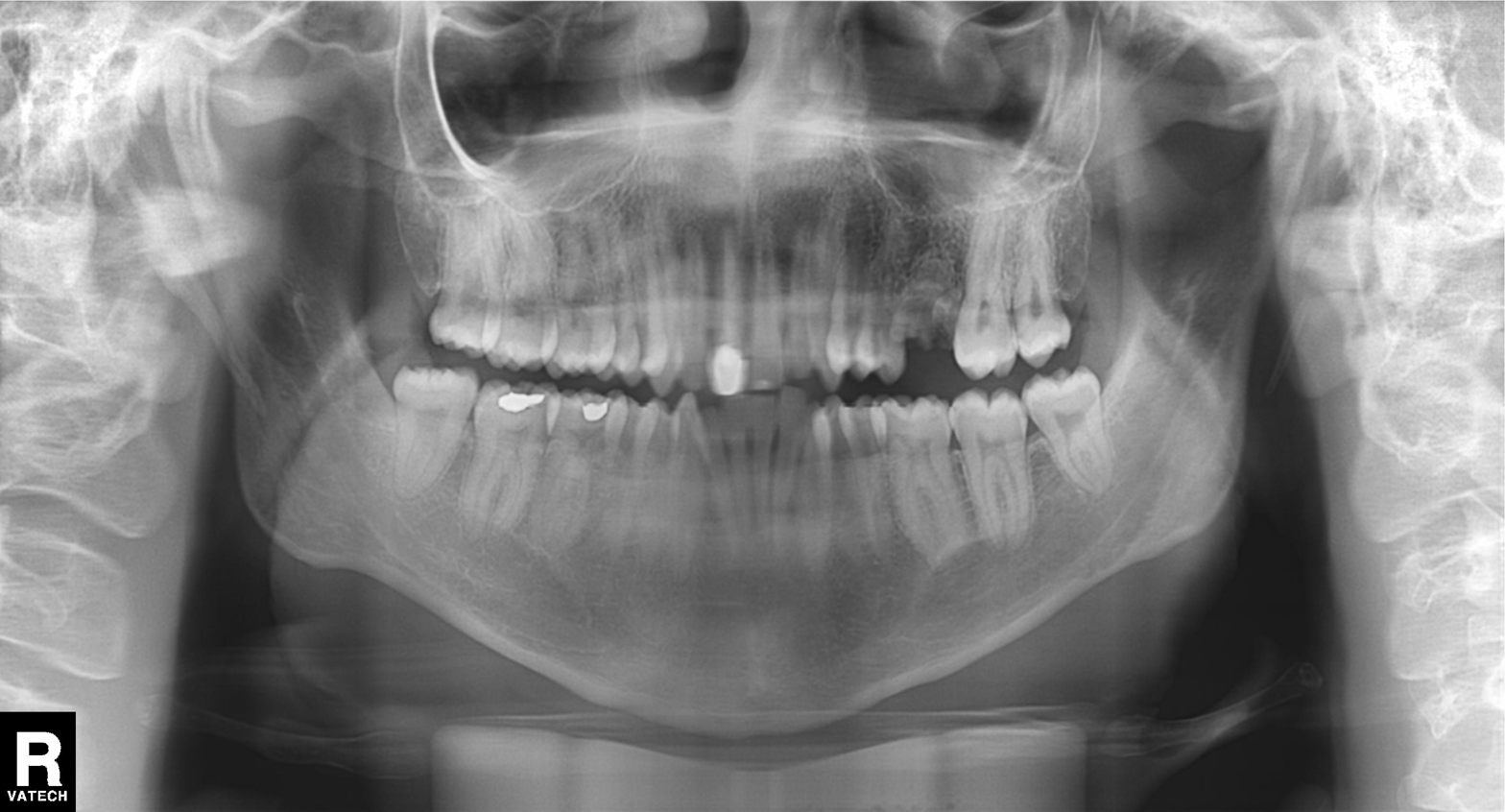
Findings:
* modality · panoramic dental radiograph (orthopantomogram)
* finding · alveolar bone loss